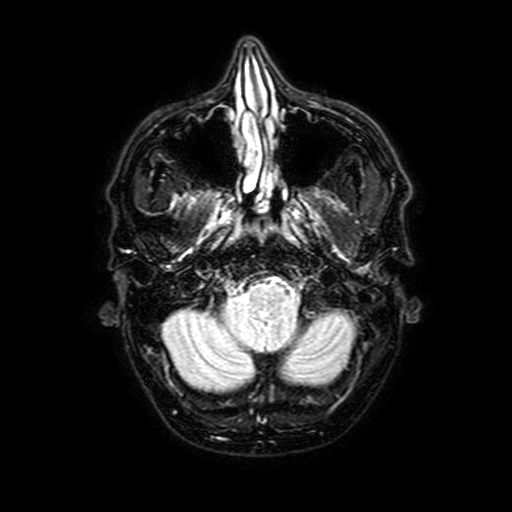
Q: What kind of scan is this?
A: 3 Tesla brain MRI.
Q: Series?
A: FLAIR with SPAIR, 3 mm.
Study: ring-enhancing brain masses.